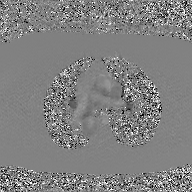
modality — 2D phase-contrast cine MRI of the ascending aorta, GAN super-resolution reconstruction.